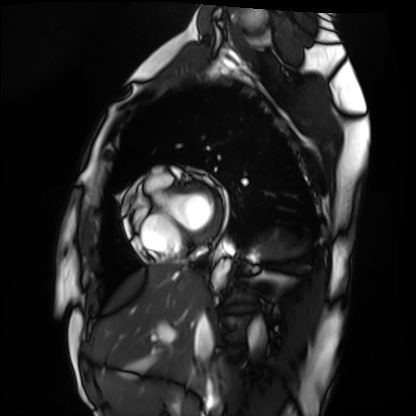
Cardiac MRI.
Subject group: healthy volunteer.